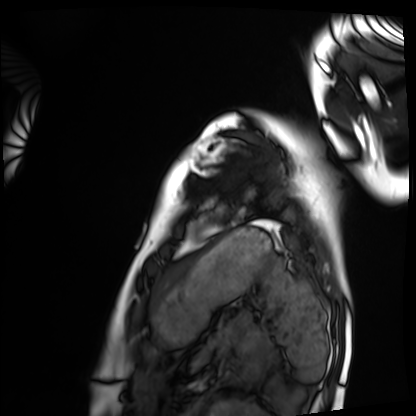
Clinical context:
Cardiac MRI. Subject group: healthy volunteer.